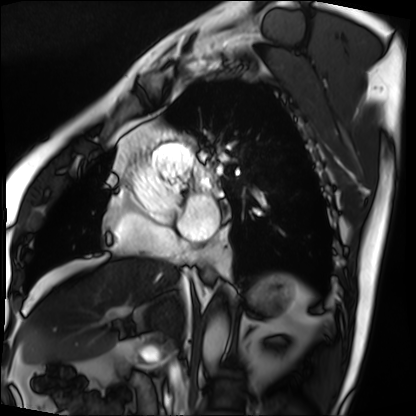
Cardiac MRI. Subject group: patient.